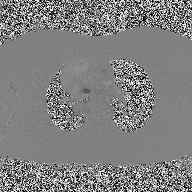
2D phase-contrast cine MRI of the ascending aorta, high-resolution GRAPPA acquisition.